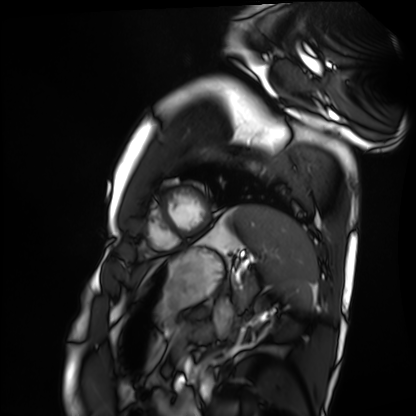
Summary:
Cardiac MRI. Subject group: healthy volunteer.